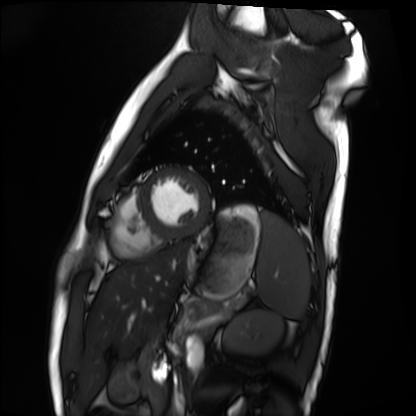
Cardiac MRI. Subject group: healthy volunteer.